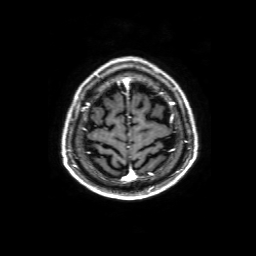
<study>
  <modality>
    <type>brain MRI</type>
    <field_strength>3T</field_strength>
  </modality>
  <series>3D T1-weighted with SENSE</series>
  <study_topic>ring-enhancing brain masses</study_topic>
</study>